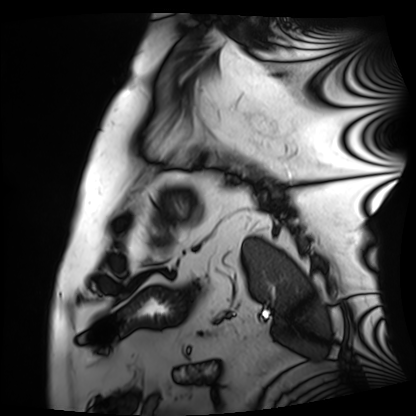
Cardiac MRI. Subject group: patient.